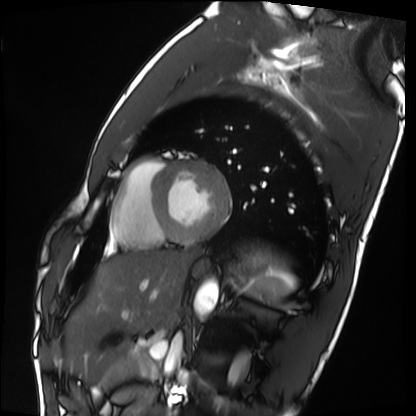
Summary:
Cardiac MRI. Subject group: healthy volunteer.